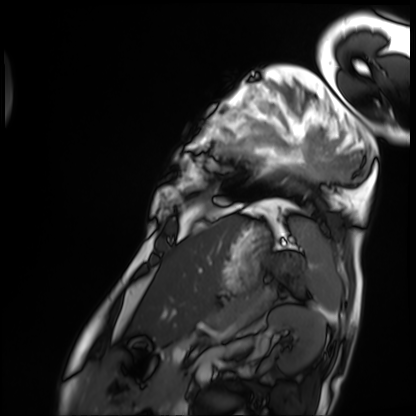
Cardiac MRI.
Subject group: patient.